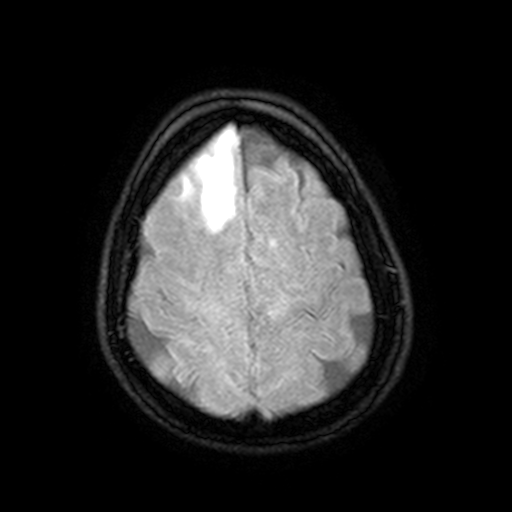
modality — 3 Tesla brain MRI | series — FLAIR with SPAIR, 3 mm | study — ring-enhancing brain masses.